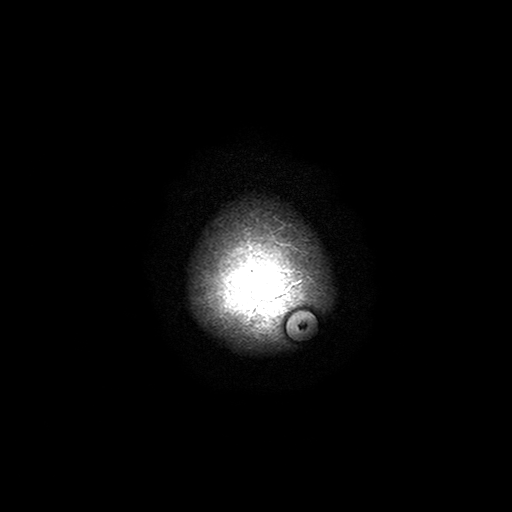
Q: What kind of scan is this?
A: 3 Tesla brain MRI.
Q: Series?
A: T2-weighted turbo spin echo with SENSE.
Study: ring-enhancing brain masses.